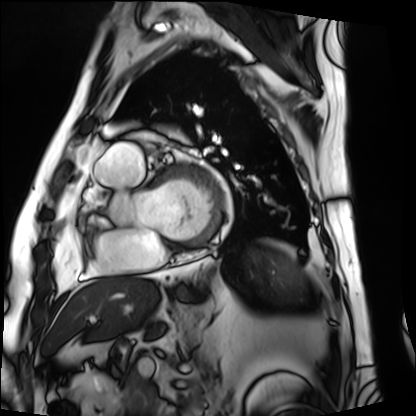
{"modality": "cardiac MRI", "cohort": "patient"}